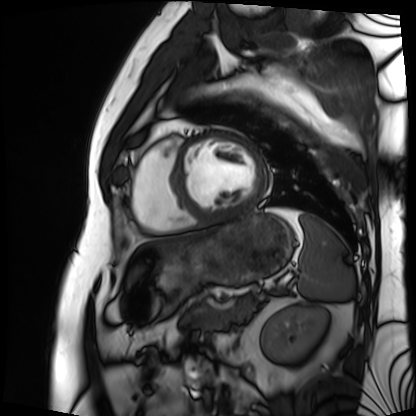
modality: cardiac MRI | subject group: patient.